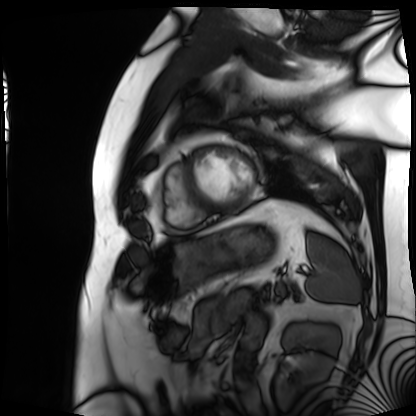
Case:
• modality: cardiac MRI
• subject group: patient